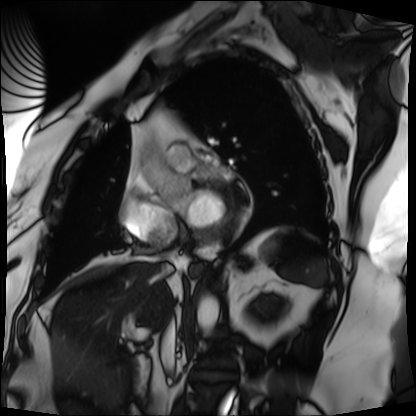
Cardiac MRI. Subject group: patient.